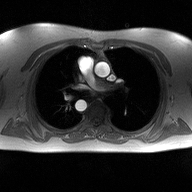
modality:
  type: 2D phase-contrast cine MRI
  region: ascending aorta
  reconstruction: high-resolution GRAPPA acquisition